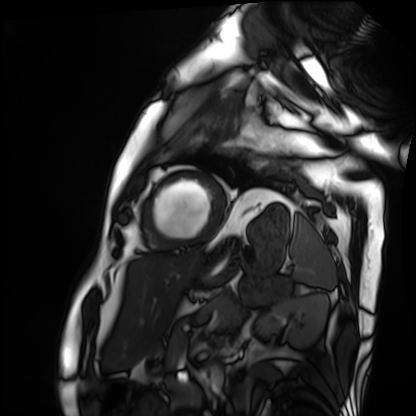
modality = cardiac MRI | subject group = patient.